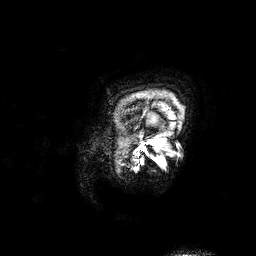
{"modality": {"type": "brain MRI", "field_strength": "3T"}, "series": "3D T1-weighted", "study_topic": "ring-enhancing brain masses"}